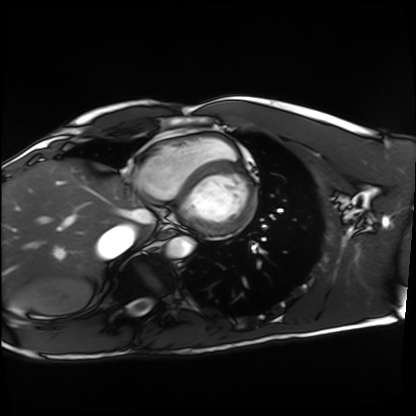
{"modality": "cardiac MRI", "cohort": "healthy volunteer"}